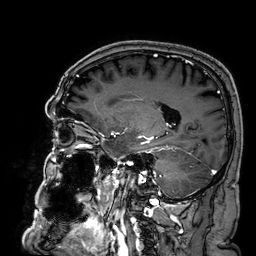
modality = 3 Tesla brain MRI; series = 3D T1-weighted; study = ring-enhancing brain masses.